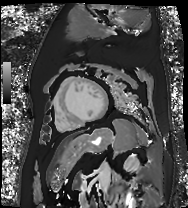
Cardiac MR image of the myocardium. Subject cohort: cardiac patient.